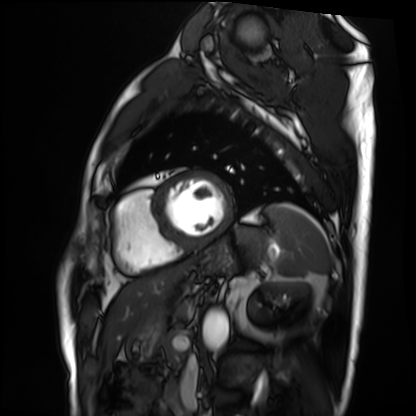
Q: What kind of scan is this?
A: Cardiac MRI.
Subject group: patient.